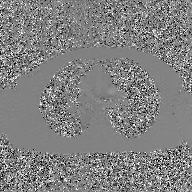
2D phase-contrast cine MRI of the ascending aorta, GAN super-resolution reconstruction.